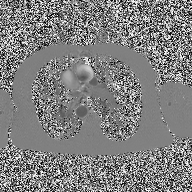
– modality — 2D phase-contrast cine MRI of the ascending aorta